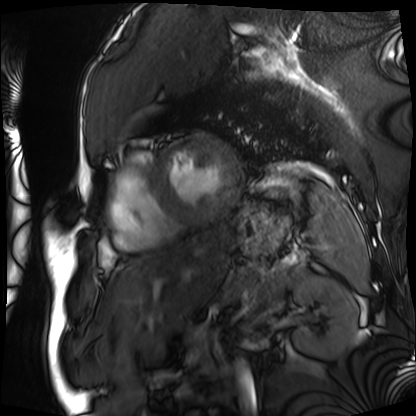
Cardiac MRI. Subject group: patient.